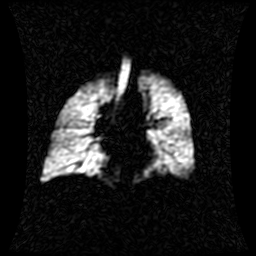
Summary:
Hyperpolarized 129Xe ventilation MRI of the lungs. SNR level 1 of 8 (the deposit holds this scan as its native image and as seven SNR-degraded versions).